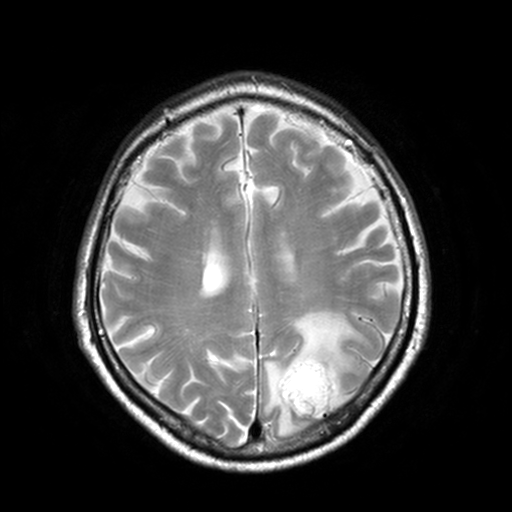
| field | value |
|---|---|
| modality | 3 Tesla brain MRI |
| series | T2-weighted turbo spin echo, 3 mm |
| study | ring-enhancing brain masses |